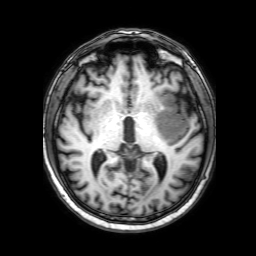
Case summary: 3 Tesla brain MRI. Series: 3D T1-weighted with SENSE. Study: ring-enhancing brain masses.